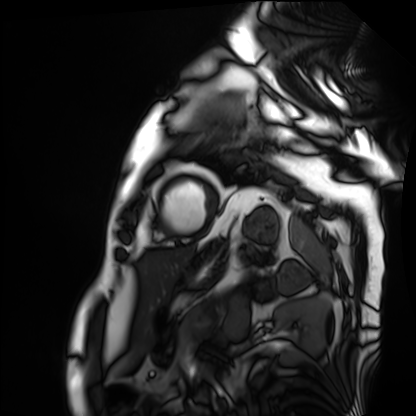
Cardiac MRI. Subject group: patient.